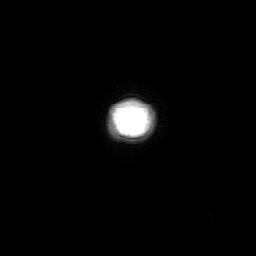
{"modality": {"type": "brain MRI", "field_strength": "3T"}, "series": "3D T1-weighted with SENSE", "study_topic": "ring-enhancing brain masses"}